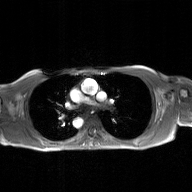
Q: What kind of scan is this?
A: 2D phase-contrast cine MRI of the ascending aorta, GAN super-resolution reconstruction.